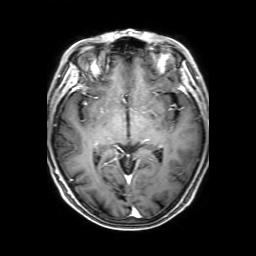
3 Tesla brain MRI. Series: 3D T1-weighted with SENSE. Study: ring-enhancing brain masses.